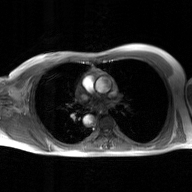
Clinical context: 2D phase-contrast cine MRI of the ascending aorta, GAN super-resolution reconstruction.